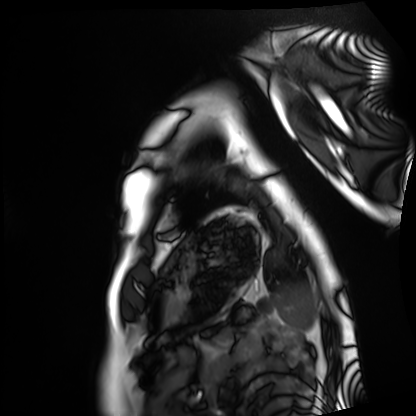
Cardiac MRI. Subject group: healthy volunteer.